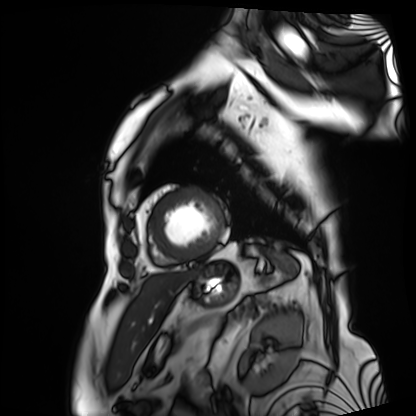
- modality: cardiac MRI
- subject group: patient